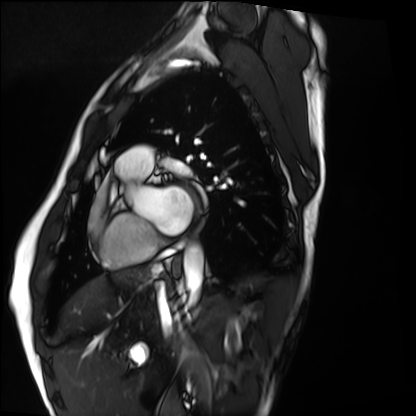
{
  "modality": "cardiac MRI",
  "cohort": "healthy volunteer"
}